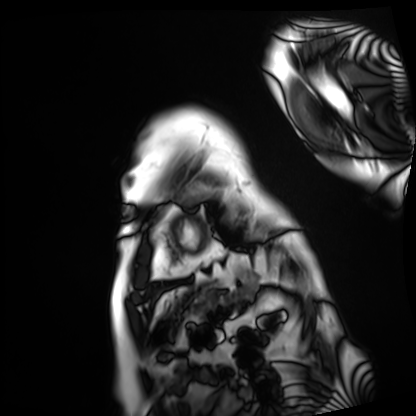
Q: What kind of scan is this?
A: Cardiac MRI.
Subject group: patient.